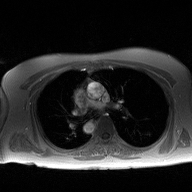
2D phase-contrast cine MRI of the ascending aorta, high-resolution GRAPPA acquisition.